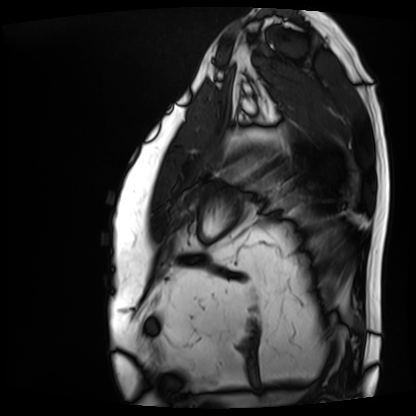
modality — cardiac MRI | subject group — patient.